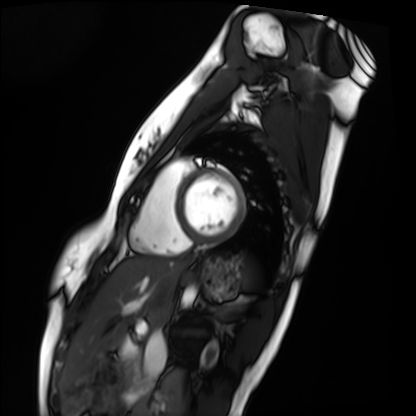
Case summary: Cardiac MRI. Subject group: healthy volunteer.